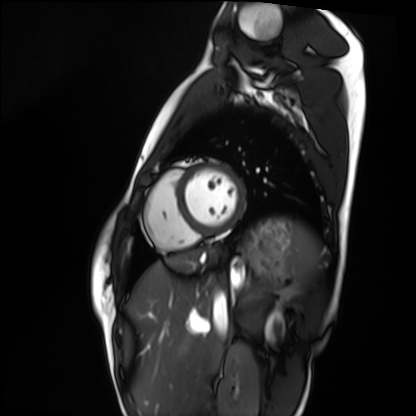
| field | value |
|---|---|
| modality | cardiac MRI |
| subject group | healthy volunteer |